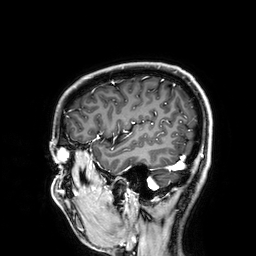
| field | value |
|---|---|
| modality | 3 Tesla brain MRI |
| series | 3D T1-weighted |
| study | ring-enhancing brain masses |